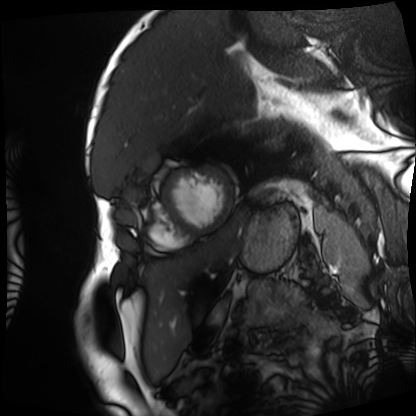
Cardiac MRI. Subject group: patient.